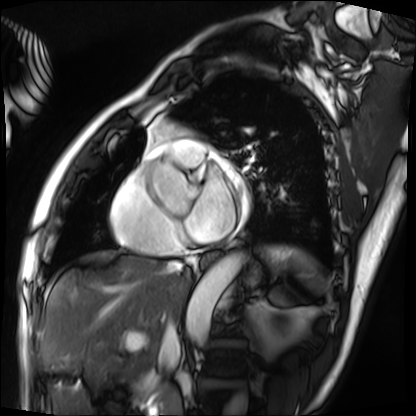
modality: cardiac MRI | subject group: patient.